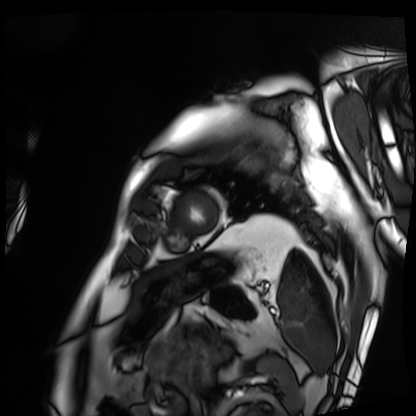
Cardiac MRI. Subject group: patient.